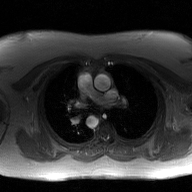
  modality:
    type: 2D phase-contrast cine MRI
    region: ascending aorta
    reconstruction: GAN super-resolution reconstruction